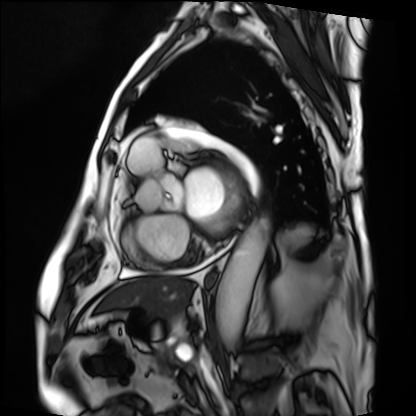
Clinical context: Cardiac MRI. Subject group: patient.